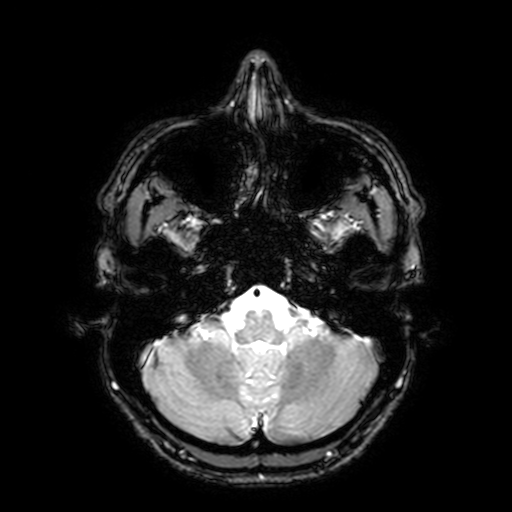
- modality — 3 Tesla brain MRI
- series — T2-weighted fast field echo with SENSE
- study — ring-enhancing brain masses